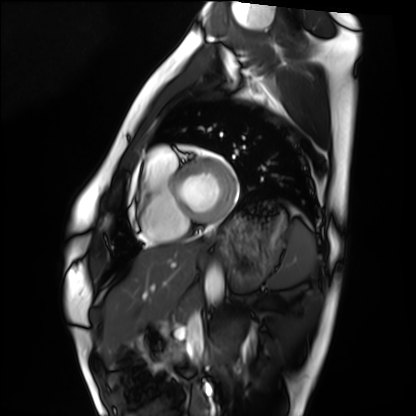
modality = cardiac MRI | subject group = healthy volunteer.